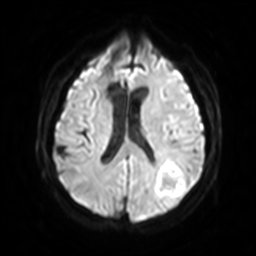
3 Tesla brain MRI.
Series: diffusion-weighted imaging with SENSE (WIP).
Study: ring-enhancing brain masses.